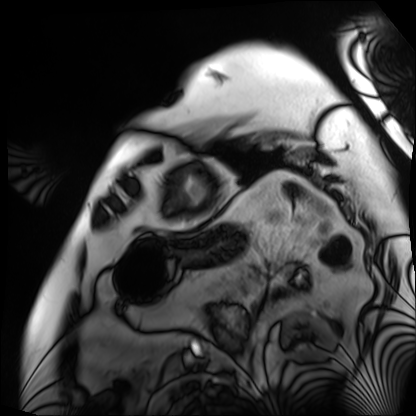
modality: cardiac MRI | subject group: patient.